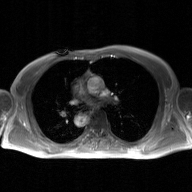
2D phase-contrast cine MRI of the ascending aorta, GAN super-resolution reconstruction.